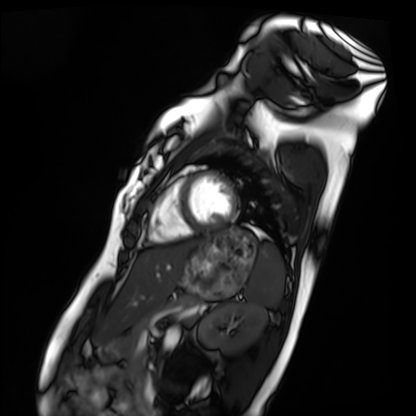
| field | value |
|---|---|
| modality | cardiac MRI |
| subject group | healthy volunteer |